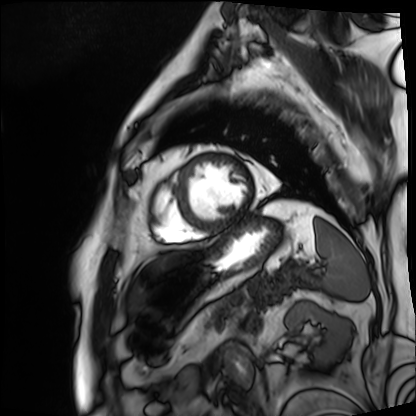
Case:
• modality — cardiac MRI
• subject group — patient